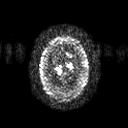
3 Tesla brain MRI.
Series: diffusion tensor imaging (medium iso).
Study: ring-enhancing brain masses.